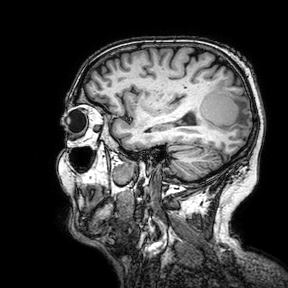
modality = 3 Tesla brain MRI | series = 3D T1-weighted turbo field echo with SENSE | study = ring-enhancing brain masses.